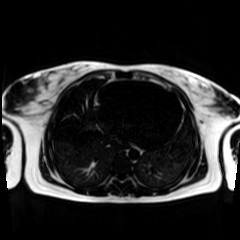
Chemical-shift-encoded cardiac MRI.